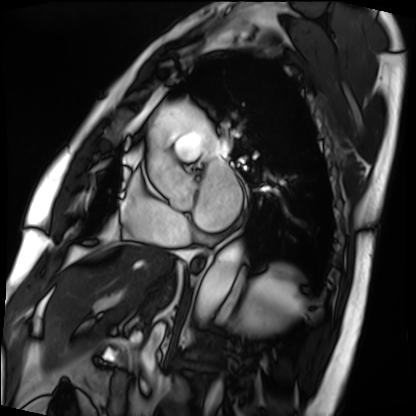
modality: cardiac MRI | subject group: patient.